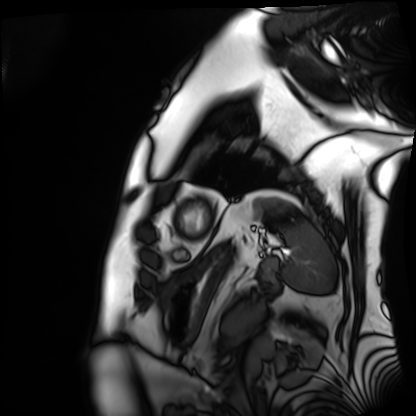
Case:
* modality — cardiac MRI
* subject group — patient